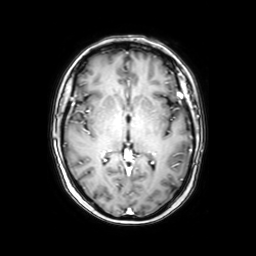
3 Tesla brain MRI. Series: axial with contrast. Study: ring-enhancing brain masses.